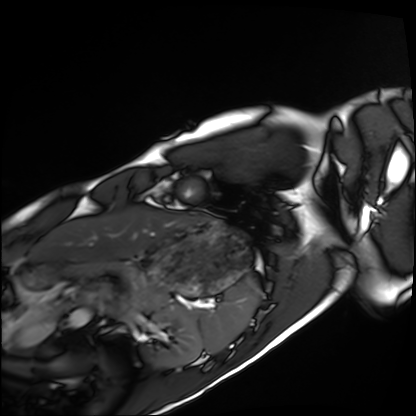
  modality: cardiac MRI
  cohort: healthy volunteer